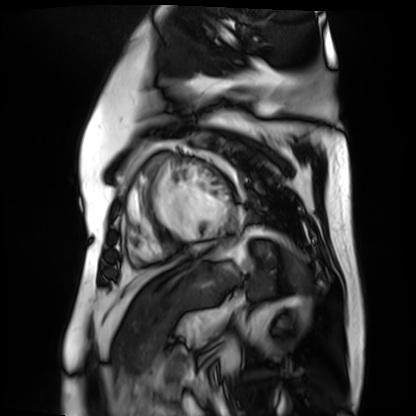
Summary: Cardiac MR image of the myocardium. Subject cohort: cardiac patient.